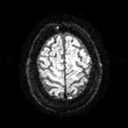
{
  "modality": {
    "type": "brain MRI",
    "field_strength": "3T"
  },
  "series": "diffusion tensor imaging (medium iso)",
  "study_topic": "ring-enhancing brain masses"
}